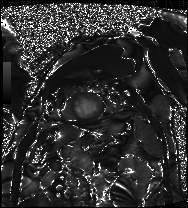
modality = cardiac MRI, subject group = patient.